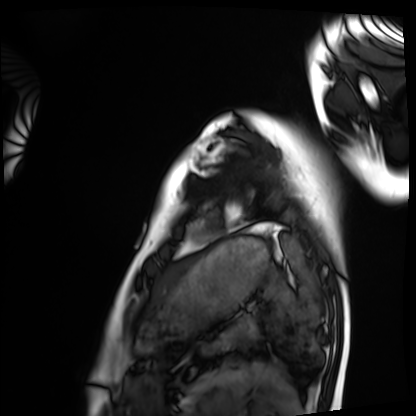
Cardiac MRI.
Subject group: healthy volunteer.